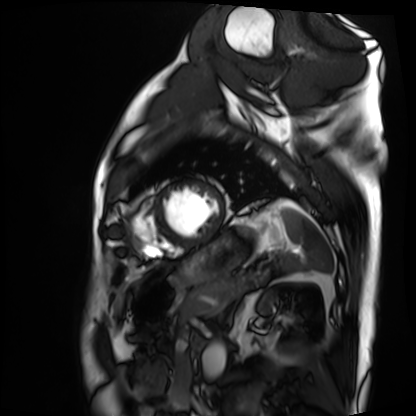
{"modality": "cardiac MRI", "cohort": "patient"}